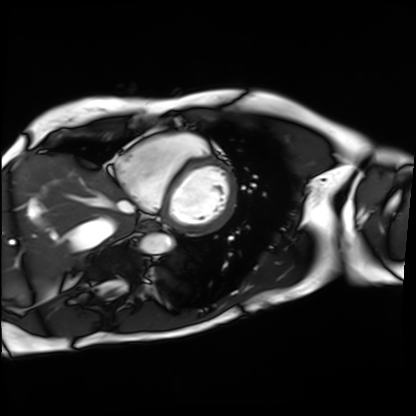
modality=cardiac MRI | subject group=patient.